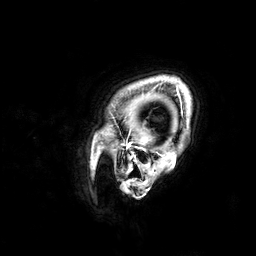
{
  "modality": {
    "type": "brain MRI",
    "field_strength": "3T"
  },
  "series": "3D T1-weighted",
  "study_topic": "ring-enhancing brain masses"
}